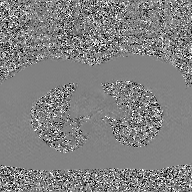
2D phase-contrast cine MRI of the ascending aorta, GAN super-resolution reconstruction.